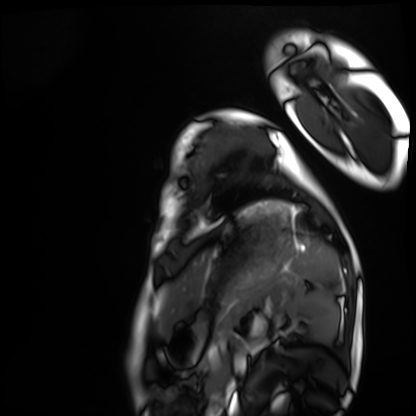
Q: What kind of scan is this?
A: Cardiac MRI.
Subject group: healthy volunteer.